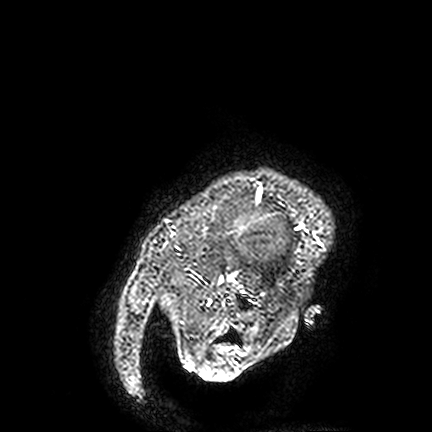
3 Tesla brain MRI. Series: FLAIR VISTA. Study: ring-enhancing brain masses.